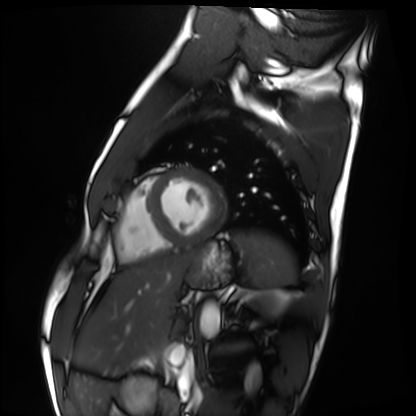
- modality — cardiac MRI
- subject group — healthy volunteer